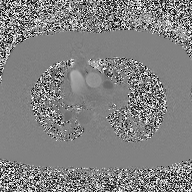
Case summary:
2D phase-contrast cine MRI of the ascending aorta, high-resolution GRAPPA acquisition.